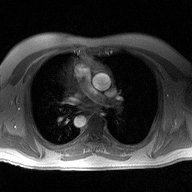
Case summary: 2D phase-contrast cine MRI of the ascending aorta, high-resolution GRAPPA acquisition.